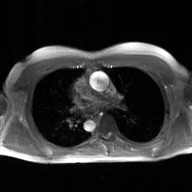
Summary:
2D phase-contrast cine MRI of the ascending aorta, GAN super-resolution reconstruction.